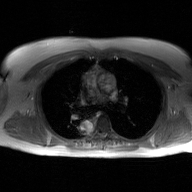
Case summary:
2D phase-contrast cine MRI of the ascending aorta, GAN super-resolution reconstruction.